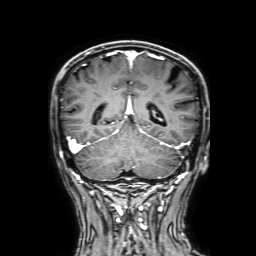
3 Tesla brain MRI. Series: 3D T1-weighted with SENSE. Study: ring-enhancing brain masses.